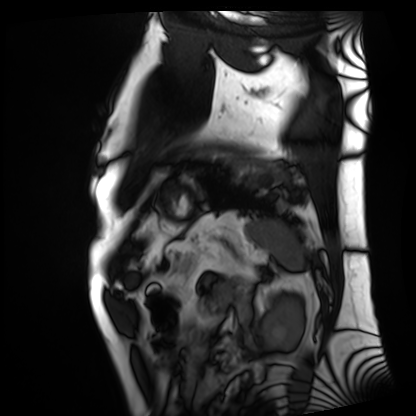
Summary: Cardiac MRI. Subject group: patient.